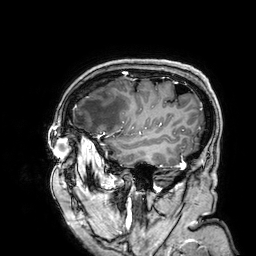
Clinical context: 3 Tesla brain MRI. Series: 3D T1-weighted. Study: ring-enhancing brain masses.